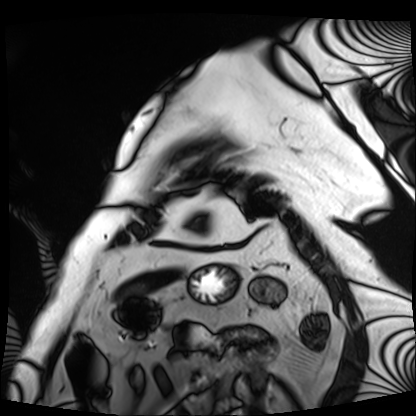
• modality · cardiac MRI
• subject group · patient